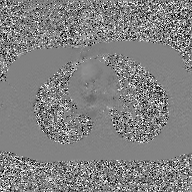
2D phase-contrast cine MRI of the ascending aorta, GAN super-resolution reconstruction.